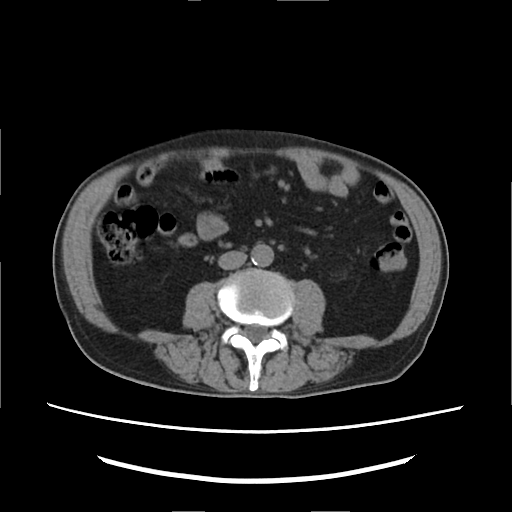
modality=multiphase abdominal CT, liver, non-contrast phase
patient=male, age 82
history=viral hepatitis